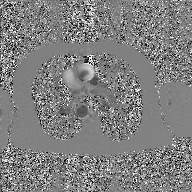
2D phase-contrast cine MRI of the ascending aorta, GAN super-resolution reconstruction.